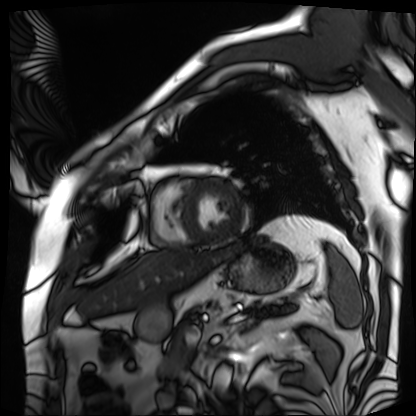
Case summary: Cardiac MRI. Subject group: patient.